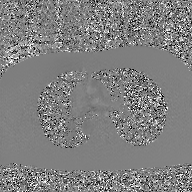
Summary:
2D phase-contrast cine MRI of the ascending aorta, GAN super-resolution reconstruction.